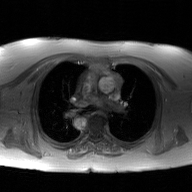
Q: What kind of scan is this?
A: 2D phase-contrast cine MRI of the ascending aorta, GAN super-resolution reconstruction.